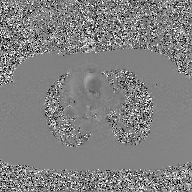
2D phase-contrast cine MRI of the ascending aorta, GAN super-resolution reconstruction.